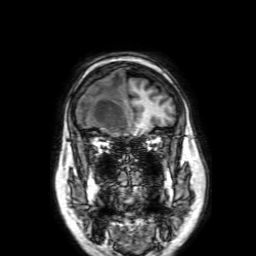
Summary:
3 Tesla brain MRI. Series: 3D T1-weighted with SENSE. Study: ring-enhancing brain masses.